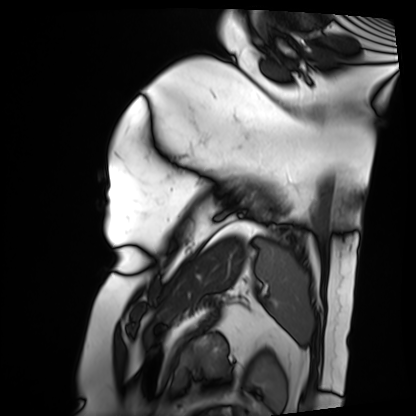
modality: cardiac MRI, subject group: patient.